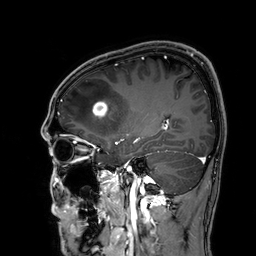
Case:
* modality — 3 Tesla brain MRI
* series — 3D T1-weighted
* study — ring-enhancing brain masses